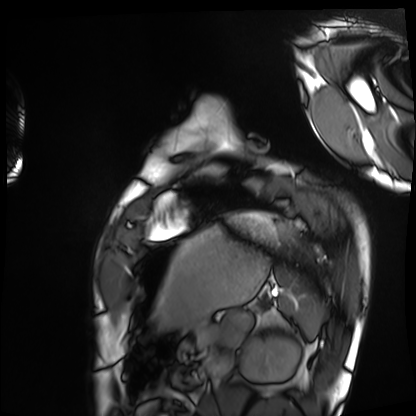
| field | value |
|---|---|
| modality | cardiac MRI |
| subject group | healthy volunteer |